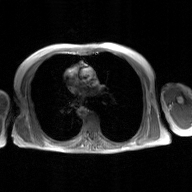
2D phase-contrast cine MRI of the ascending aorta, GAN super-resolution reconstruction.